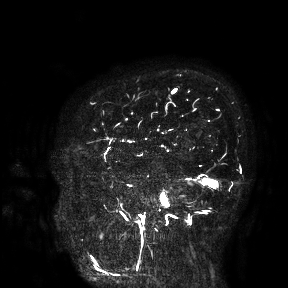
• modality — 3 Tesla brain MRI
• study — ring-enhancing brain masses